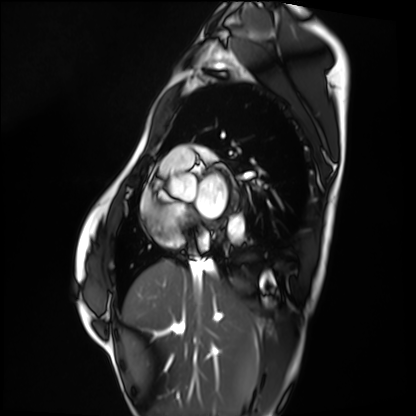
Cardiac MRI.
Subject group: healthy volunteer.